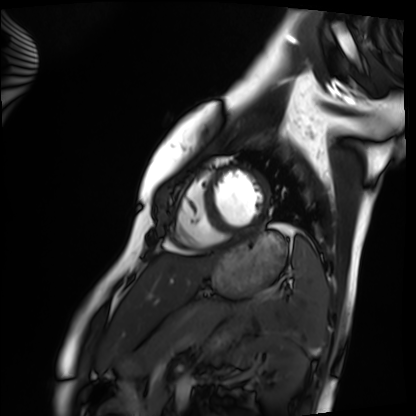
Case summary: Cardiac MRI. Subject group: healthy volunteer.